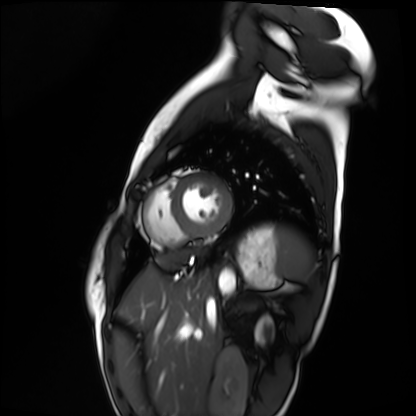
Q: What kind of scan is this?
A: Cardiac MRI.
Subject group: healthy volunteer.